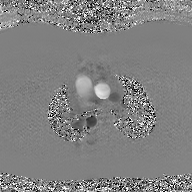
Case:
– modality · 2D phase-contrast cine MRI of the ascending aorta, GAN super-resolution reconstruction